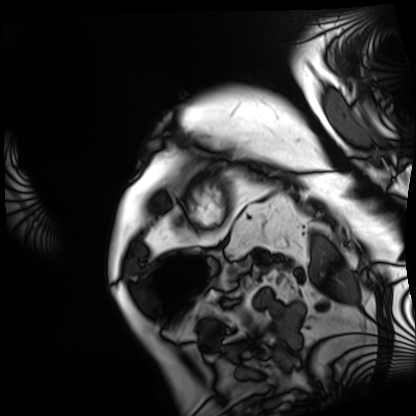
• modality · cardiac MRI
• subject group · patient